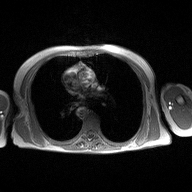
  modality:
    type: 2D phase-contrast cine MRI
    region: ascending aorta
    reconstruction: high-resolution GRAPPA acquisition